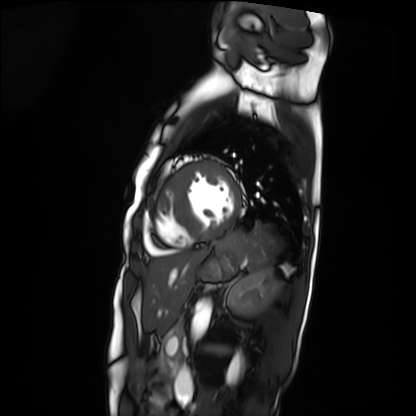
Summary:
Cardiac MRI. Subject group: patient.